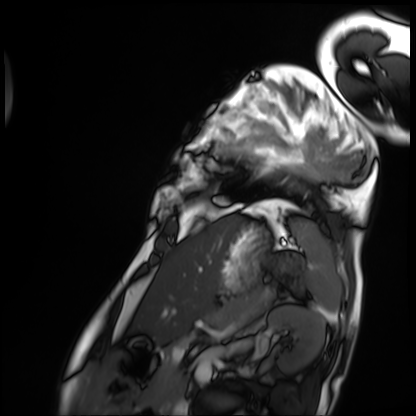
Clinical context: Cardiac MRI. Subject group: patient.